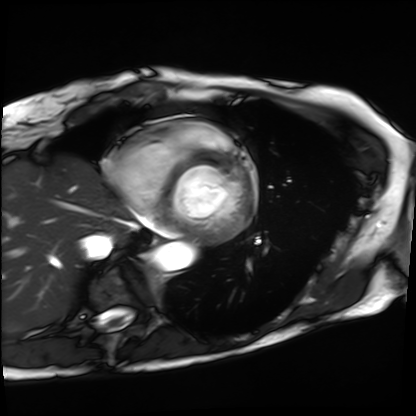
modality: cardiac MRI
subject group: patient